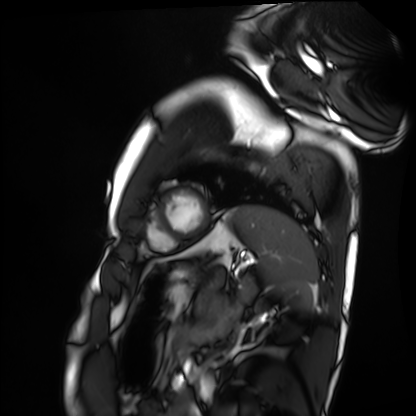
modality: cardiac MRI | subject group: healthy volunteer.